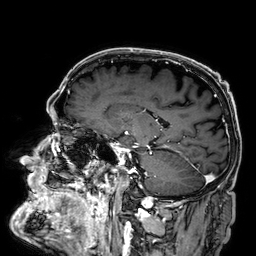
Q: What kind of scan is this?
A: 3 Tesla brain MRI.
Q: Series?
A: 3D T1-weighted.
Study: ring-enhancing brain masses.